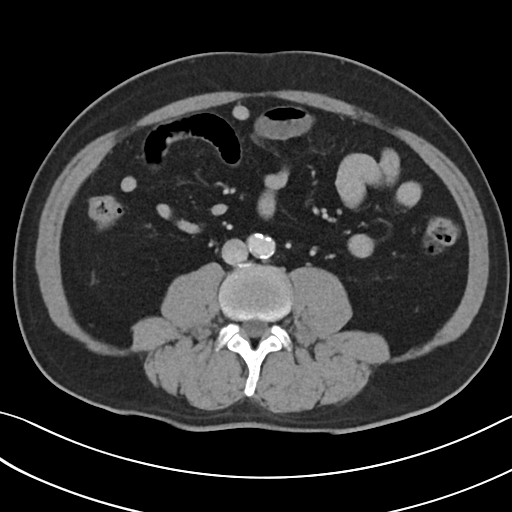
Multiphase abdominal CT, liver, portal venous phase.